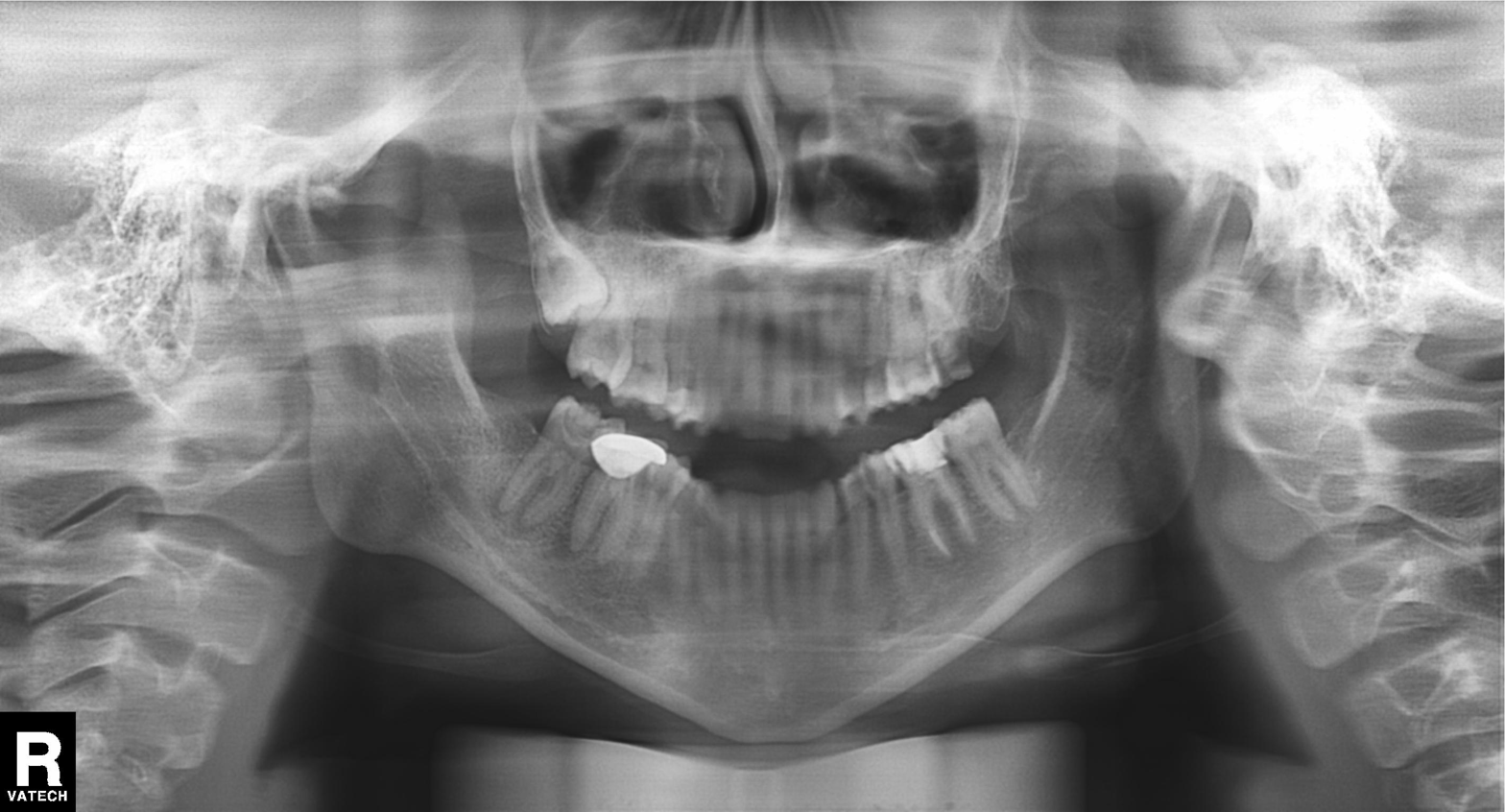
Panoramic dental radiograph (orthopantomogram). Finding: dental caries (cavities).